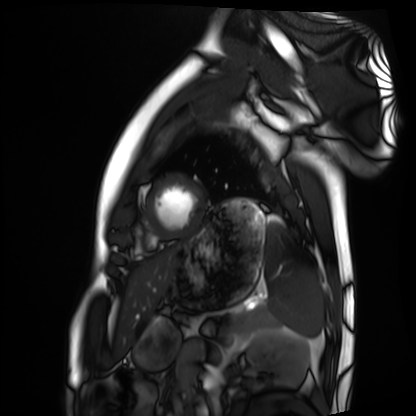
Cardiac MRI.
Subject group: healthy volunteer.